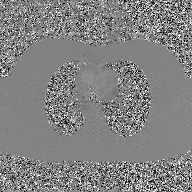
Q: What kind of scan is this?
A: 2D phase-contrast cine MRI of the ascending aorta, GAN super-resolution reconstruction.